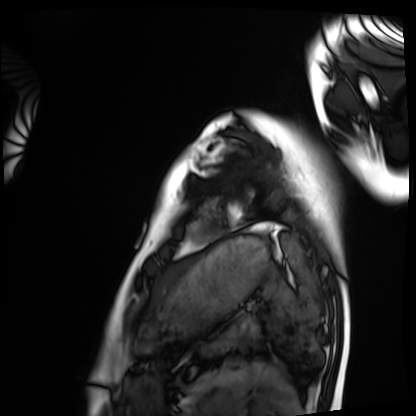
Summary:
Cardiac MRI. Subject group: healthy volunteer.